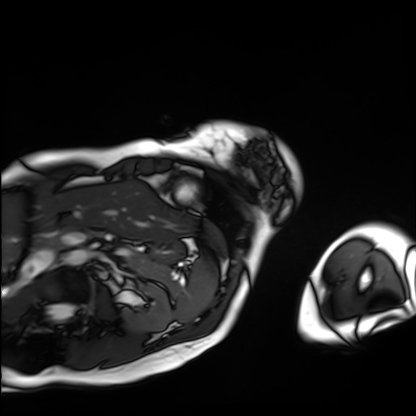
Clinical context:
Cardiac MRI. Subject group: patient.